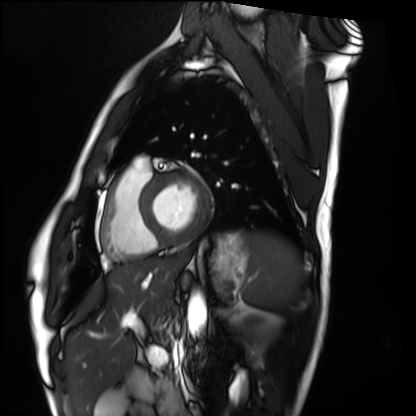
Cardiac MRI. Subject group: healthy volunteer.